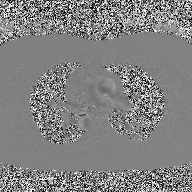
Q: What kind of scan is this?
A: 2D phase-contrast cine MRI of the ascending aorta.